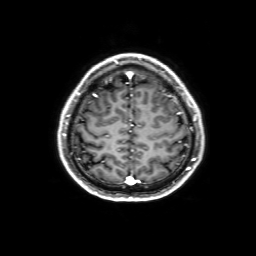
modality — 3 Tesla brain MRI
series — 3D T1-weighted with SENSE
study — ring-enhancing brain masses